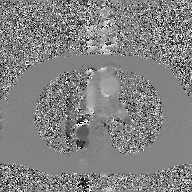
Summary: 2D phase-contrast cine MRI of the ascending aorta, GAN super-resolution reconstruction.